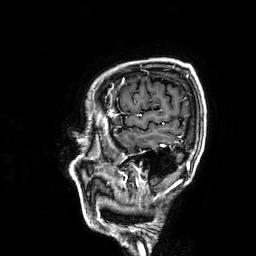
3 Tesla brain MRI.
Series: 3D T1-weighted.
Study: ring-enhancing brain masses.